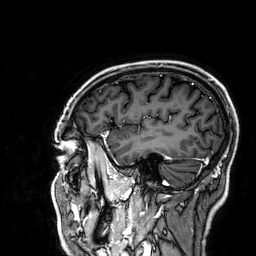
modality = 3 Tesla brain MRI | series = 3D T1-weighted | study = ring-enhancing brain masses.